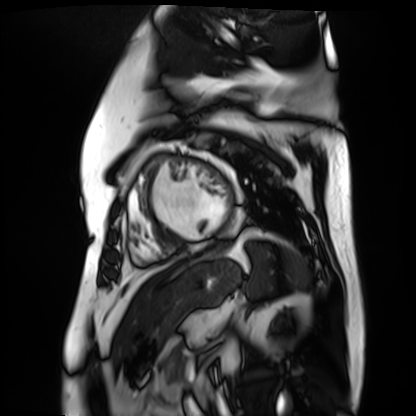
Q: What kind of scan is this?
A: Cardiac MR image of the myocardium.
Subject cohort: cardiac patient.